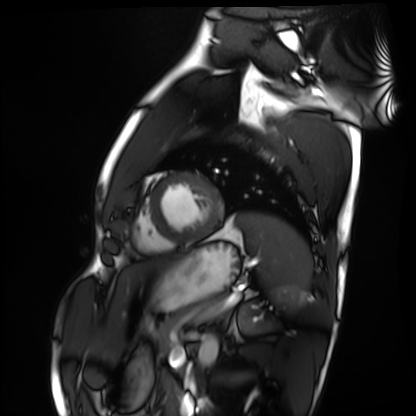
modality: cardiac MRI | subject group: healthy volunteer.